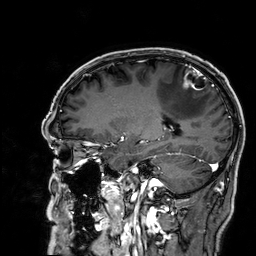
Summary: 3 Tesla brain MRI. Study: ring-enhancing brain masses.